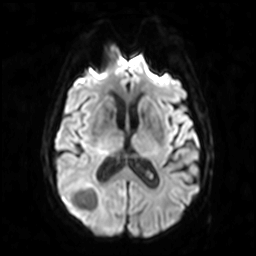
{
  "modality": {
    "type": "brain MRI",
    "field_strength": "3T"
  },
  "study_topic": "ring-enhancing brain masses"
}